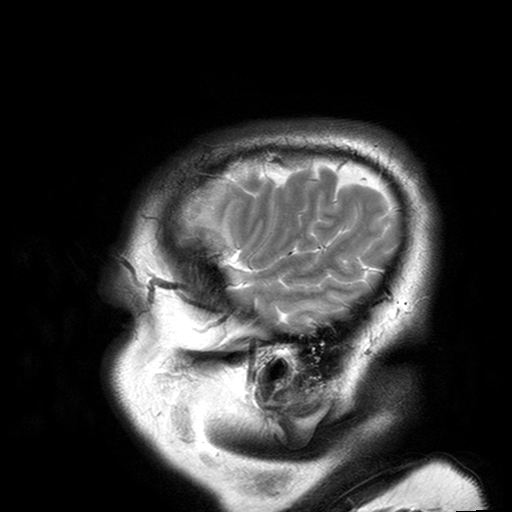
Summary: 3 Tesla brain MRI. Series: T2-weighted turbo spin echo with SENSE. Study: ring-enhancing brain masses.